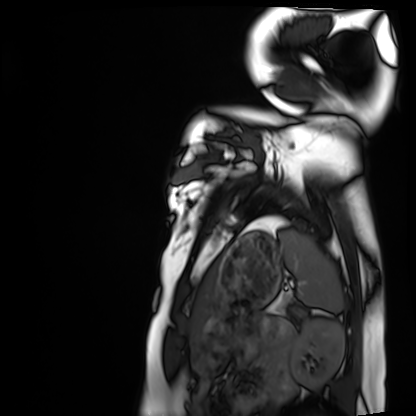
| field | value |
|---|---|
| modality | cardiac MRI |
| subject group | healthy volunteer |